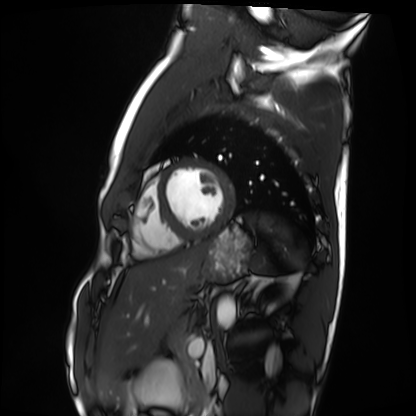
Q: What kind of scan is this?
A: Cardiac MRI.
Subject group: healthy volunteer.